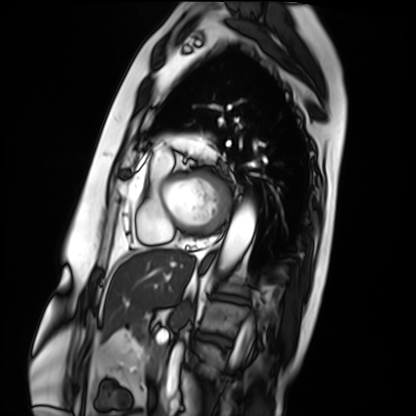
modality: cardiac MRI | subject group: patient.